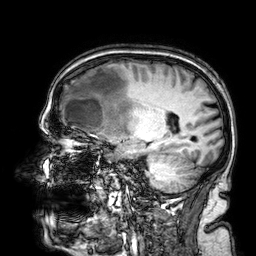
3 Tesla brain MRI.
Series: 3D T1-weighted.
Study: ring-enhancing brain masses.